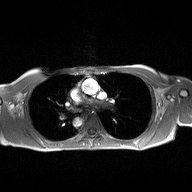
modality — 2D phase-contrast cine MRI of the ascending aorta.